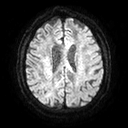
{
  "modality": {
    "type": "brain MRI",
    "field_strength": "3T"
  },
  "series": "diffusion tensor imaging (medium iso)",
  "study_topic": "ring-enhancing brain masses"
}